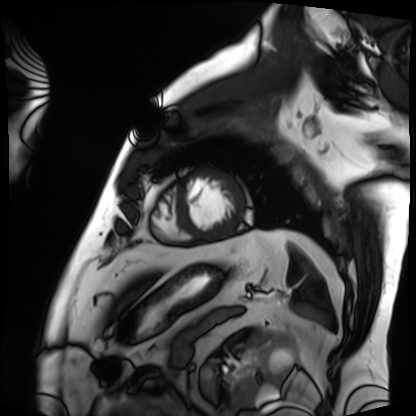
Summary: Cardiac MRI. Subject group: patient.